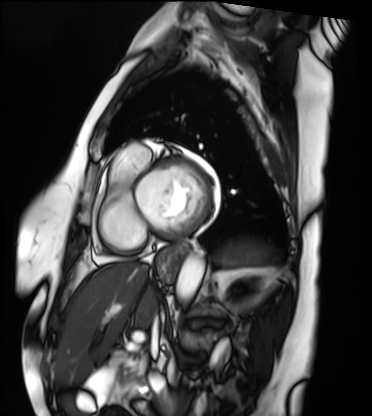
modality: cardiac MRI; subject group: patient.